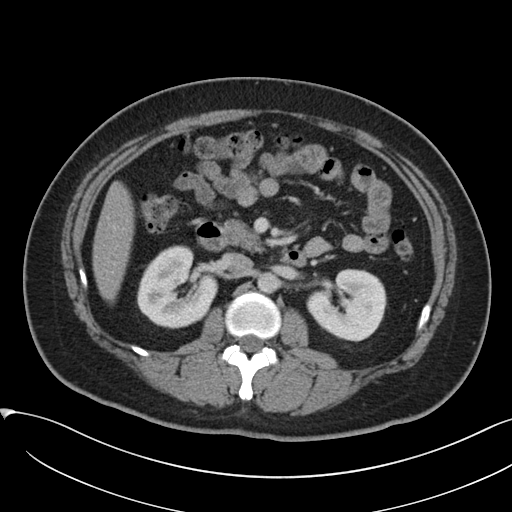
Clinical context: Multiphase abdominal CT, liver, portal venous phase. Patient: female, age 38.